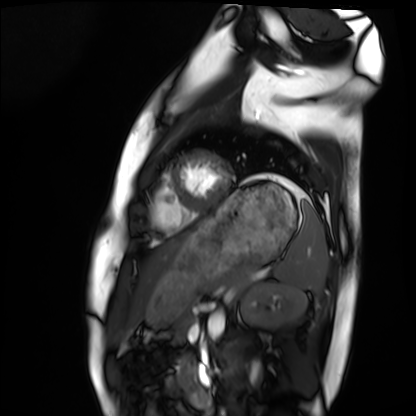
modality: cardiac MRI
cohort: healthy volunteer